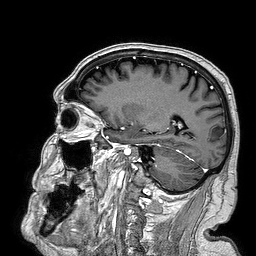
3 Tesla brain MRI. Series: 3D T1-weighted turbo field echo. Study: ring-enhancing brain masses.